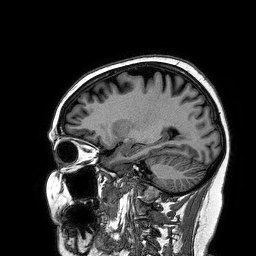
3 Tesla brain MRI. Series: 3D T1-weighted turbo field echo. Study: ring-enhancing brain masses.